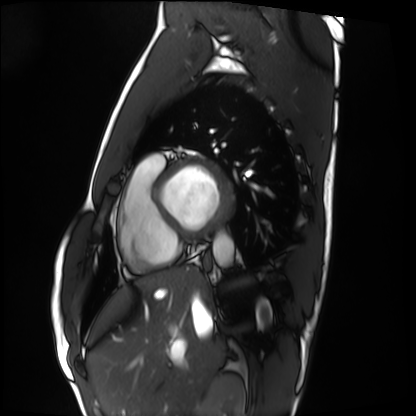
Clinical context:
Cardiac MRI. Subject group: healthy volunteer.